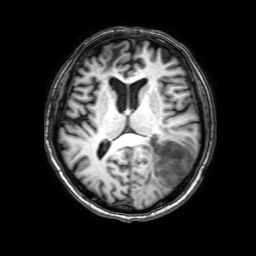
3 Tesla brain MRI.
Series: 3D T1-weighted with SENSE.
Study: ring-enhancing brain masses.